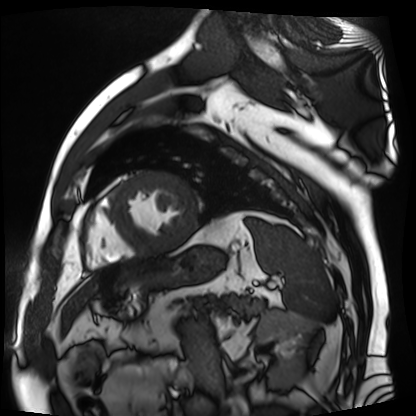
Cardiac MR image of the myocardium.
Subject cohort: cardiac patient.